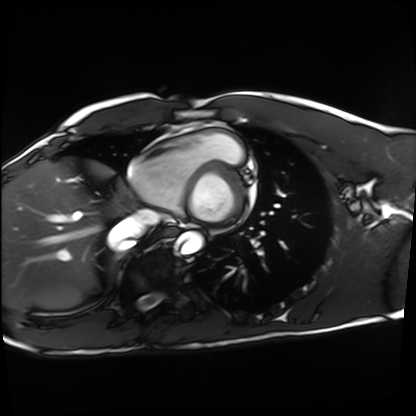
* modality · cardiac MRI
* subject group · healthy volunteer